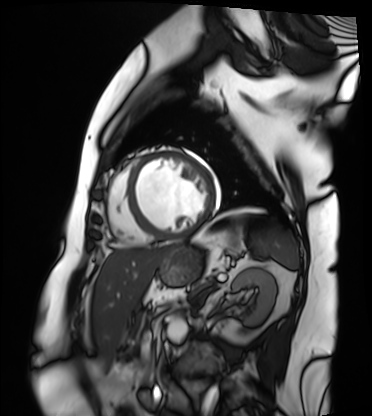
• modality · cardiac MRI
• subject group · patient